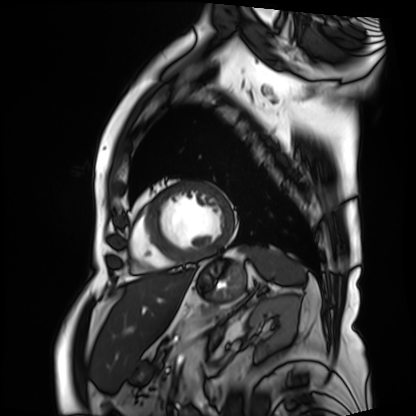
Q: What kind of scan is this?
A: Cardiac MRI.
Subject group: patient.